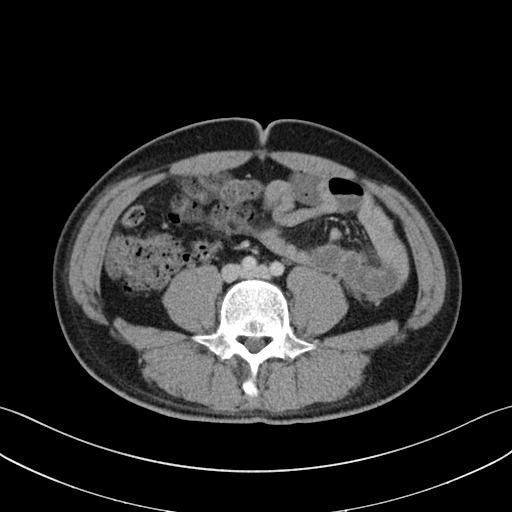
modality: multiphase abdominal CT, liver, portal venous phase | patient: male, age 32.